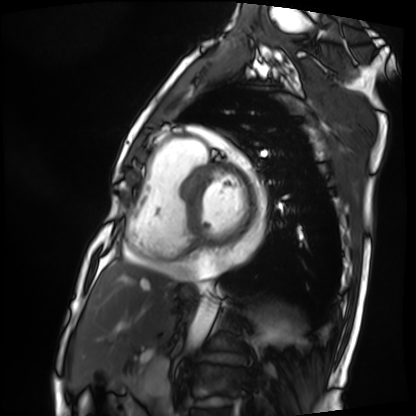
Summary: Cardiac MRI. Subject group: patient.